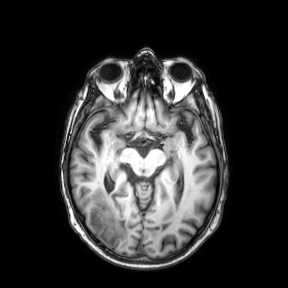
<scan>
<modality>
  <type>brain MRI</type>
  <field_strength>3T</field_strength>
</modality>
<series>axial</series>
<study_topic>ring-enhancing brain masses</study_topic>
</scan>